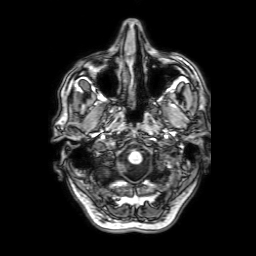
3 Tesla brain MRI.
Series: 3D T1-weighted with SENSE.
Study: ring-enhancing brain masses.